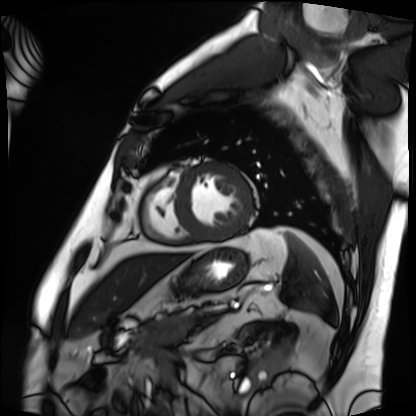
* modality · cardiac MRI
* subject group · patient